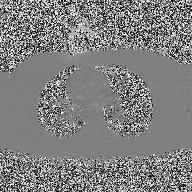
2D phase-contrast cine MRI of the ascending aorta, high-resolution GRAPPA acquisition.